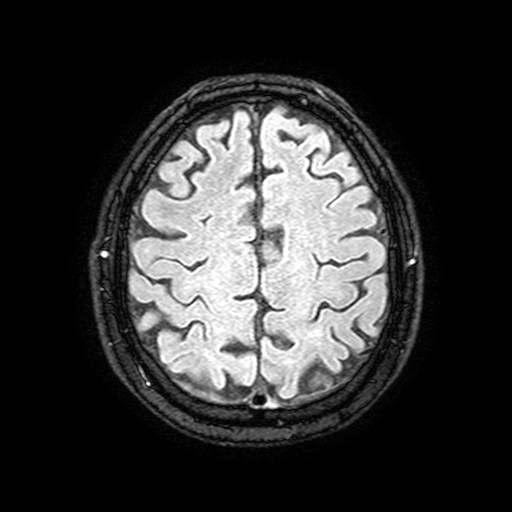
Q: What kind of scan is this?
A: 3 Tesla brain MRI.
Q: Series?
A: FLAIR with SPAIR, 3 mm.
Study: ring-enhancing brain masses.